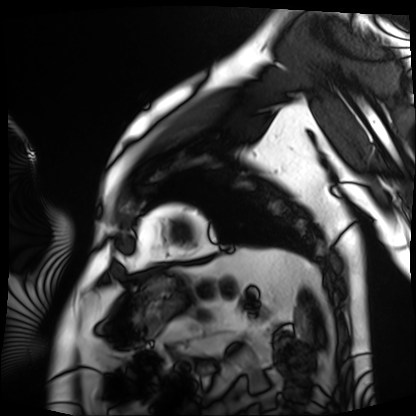
modality — cardiac MRI; subject group — patient.